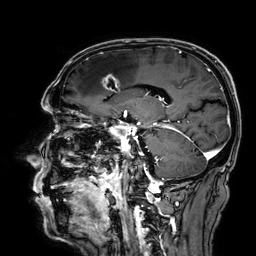
3 Tesla brain MRI. Series: 3D T1-weighted. Study: ring-enhancing brain masses.